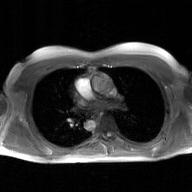
Q: What kind of scan is this?
A: 2D phase-contrast cine MRI of the ascending aorta, GAN super-resolution reconstruction.